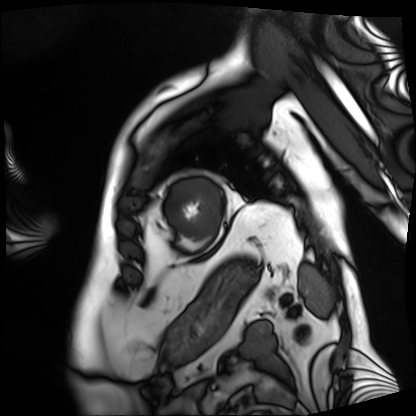
Case summary:
Cardiac MRI. Subject group: patient.